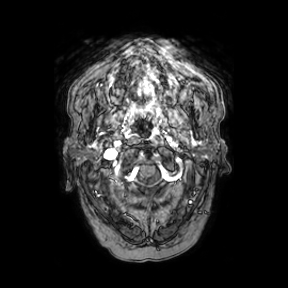
modality:
  type: brain MRI
  field_strength: 3T
series: axial
study_topic: ring-enhancing brain masses